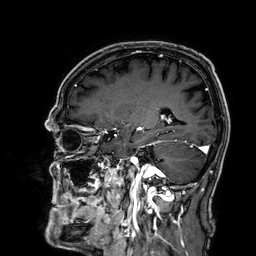
3 Tesla brain MRI. Series: 3D T1-weighted. Study: ring-enhancing brain masses.